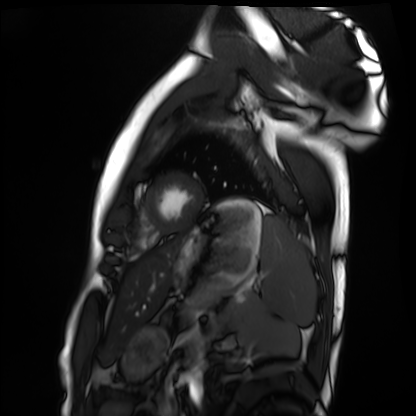
Summary:
Cardiac MRI. Subject group: healthy volunteer.